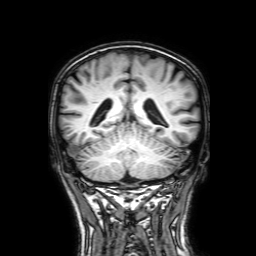
Summary: 3 Tesla brain MRI. Series: 3D T1-weighted with SENSE. Study: ring-enhancing brain masses.